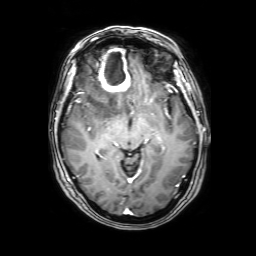
modality: 3 Tesla brain MRI; series: 3D T1-weighted with SENSE; study: ring-enhancing brain masses.